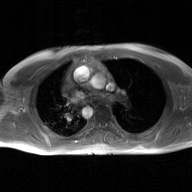
Q: What kind of scan is this?
A: 2D phase-contrast cine MRI of the ascending aorta, GAN super-resolution reconstruction.